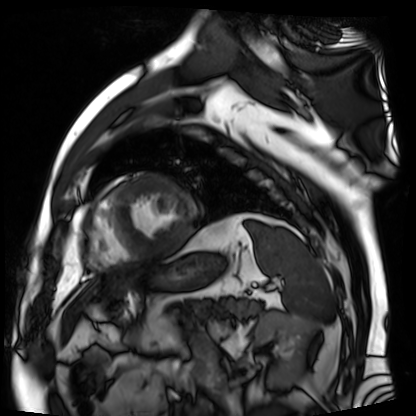
Summary:
Cardiac MR image of the myocardium. Subject cohort: cardiac patient.